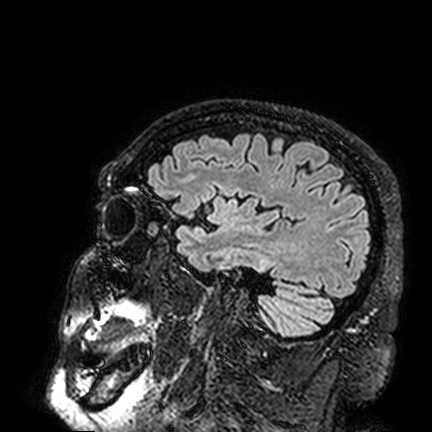
3 Tesla brain MRI. Series: FLAIR VISTA. Study: ring-enhancing brain masses.